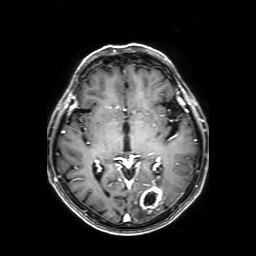
3 Tesla brain MRI. Series: axial T1-weighted fusion image. Study: ring-enhancing brain masses.